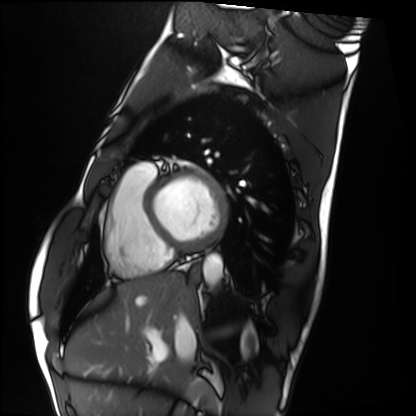
<scan>
  <modality>cardiac MRI</modality>
  <cohort>healthy volunteer</cohort>
</scan>